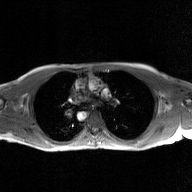
  modality:
    type: 2D phase-contrast cine MRI
    region: ascending aorta
    reconstruction: GAN super-resolution reconstruction